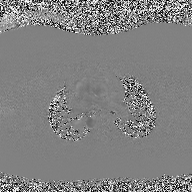
modality: 2D phase-contrast cine MRI of the ascending aorta.